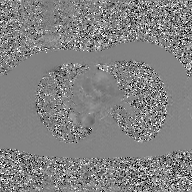
modality = 2D phase-contrast cine MRI of the ascending aorta, GAN super-resolution reconstruction.